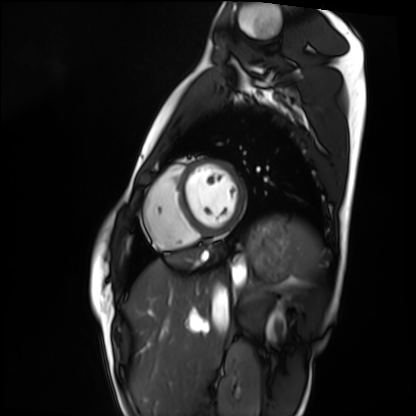
modality — cardiac MRI; subject group — healthy volunteer.